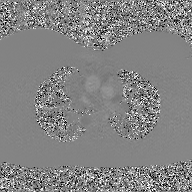
2D phase-contrast cine MRI of the ascending aorta, GAN super-resolution reconstruction.